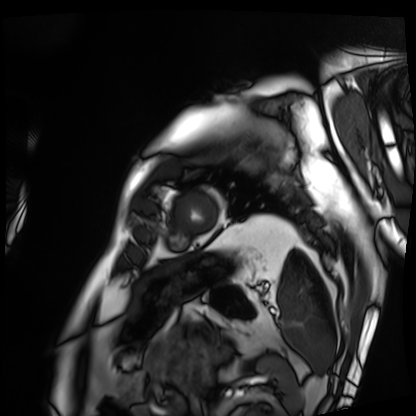
Clinical context: Cardiac MRI. Subject group: patient.